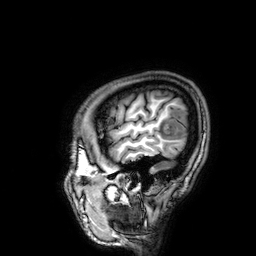
<case>
  <modality>
    <type>brain MRI</type>
    <field_strength>3T</field_strength>
  </modality>
  <series>3D T1-weighted</series>
  <study_topic>ring-enhancing brain masses</study_topic>
</case>